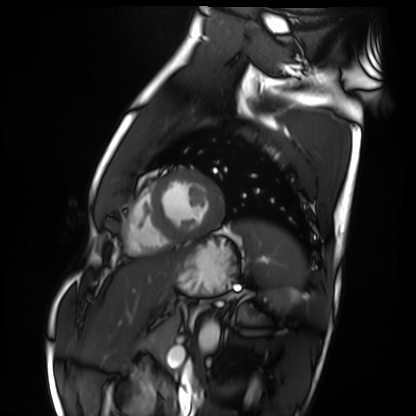
Cardiac MRI. Subject group: healthy volunteer.